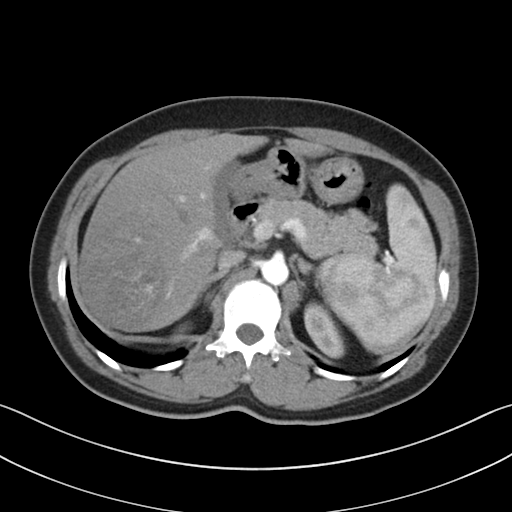
Q: What kind of scan is this?
A: Multiphase abdominal CT, liver, arterial phase.
Q: Patient?
A: Female, age 48.